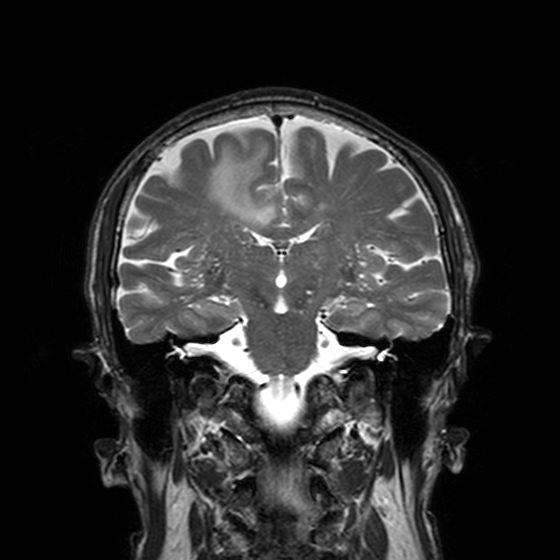
modality = 3 Tesla brain MRI
series = T2-weighted turbo spin echo, 3 mm
study = ring-enhancing brain masses